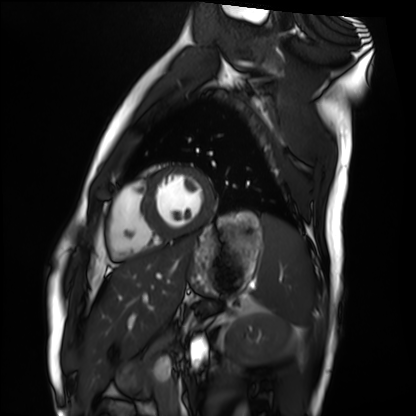
Clinical context:
Cardiac MRI. Subject group: healthy volunteer.